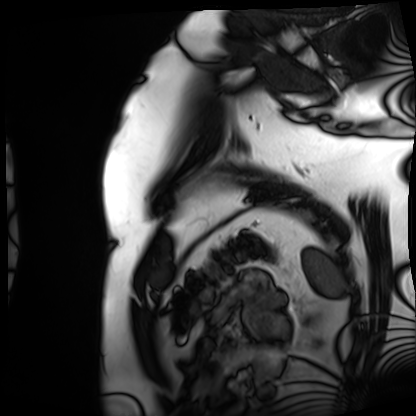
Cardiac MRI. Subject group: patient.